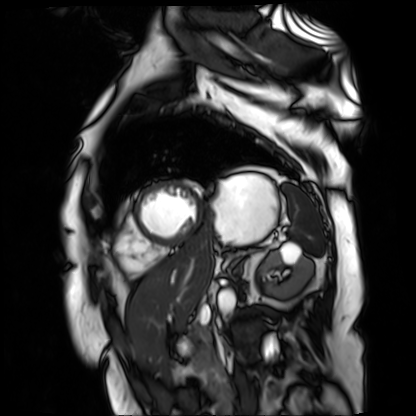
Case:
* modality — cardiac MR image of the myocardium
* subject cohort — cardiac patient